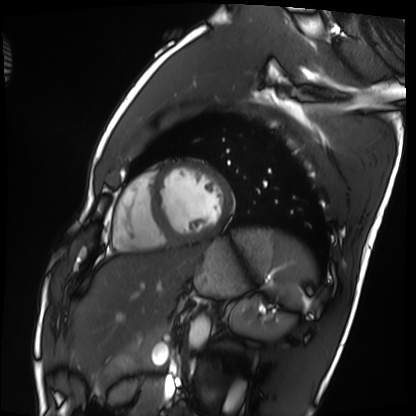
Summary: Cardiac MRI. Subject group: healthy volunteer.